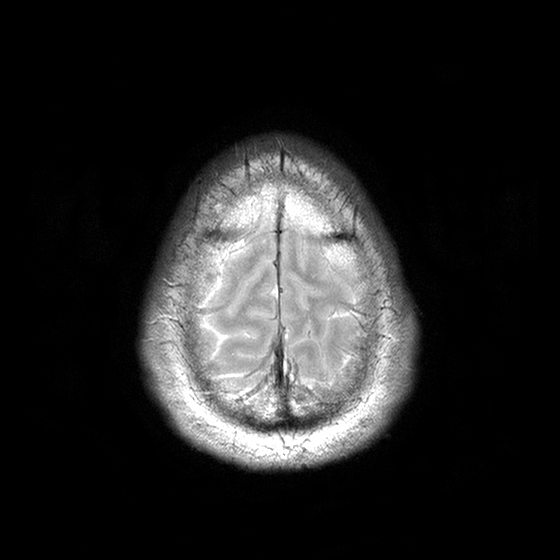
3 Tesla brain MRI.
Series: T2-weighted turbo spin echo with CLEAR.
Study: ring-enhancing brain masses.